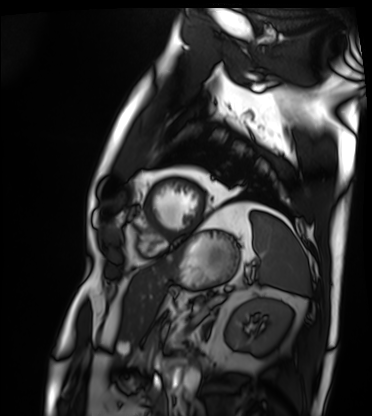
Q: What kind of scan is this?
A: Cardiac MRI.
Subject group: patient.